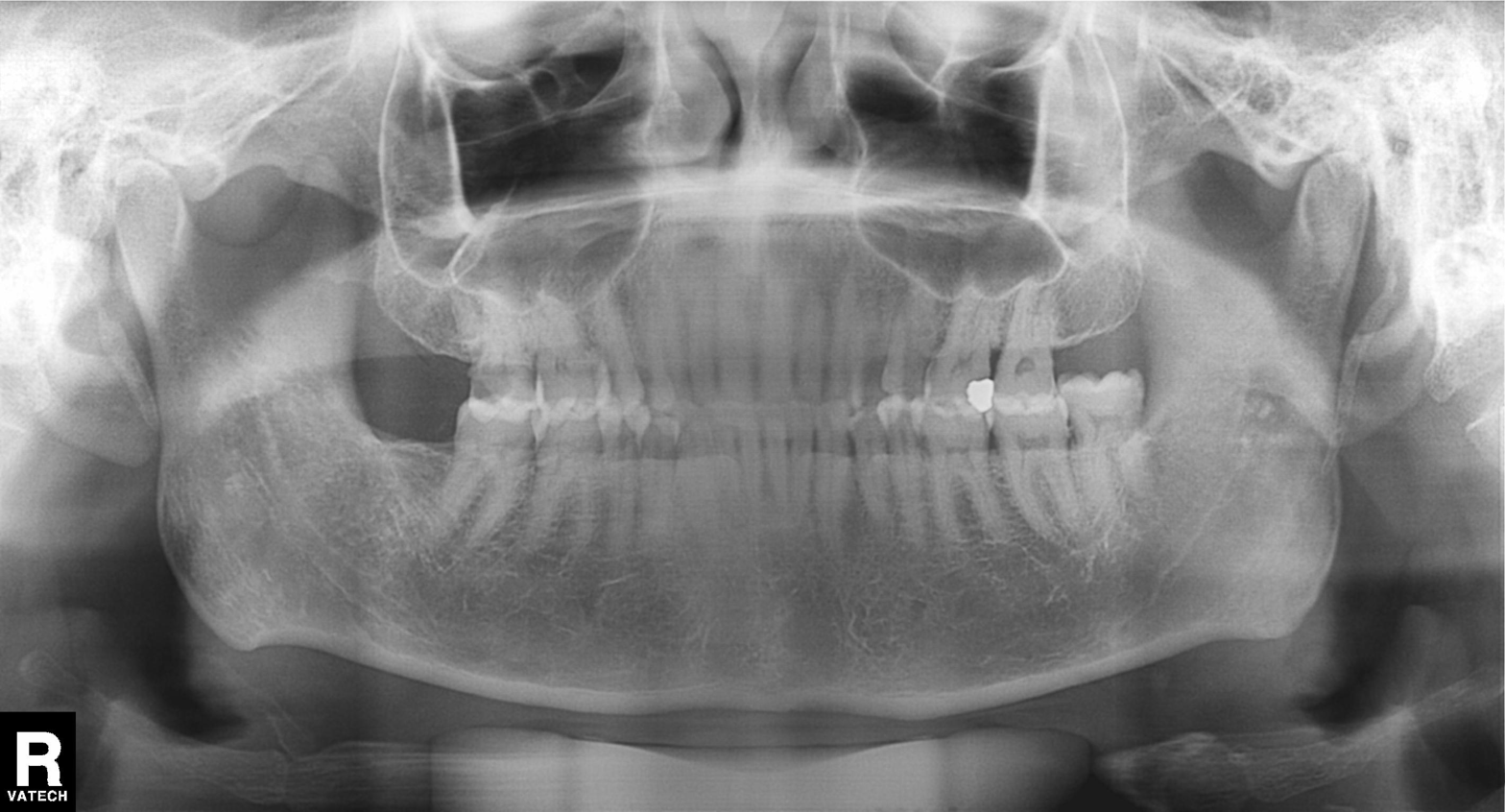
Summary:
Panoramic dental radiograph (orthopantomogram).
Conclusion:
Alveolar bone loss.